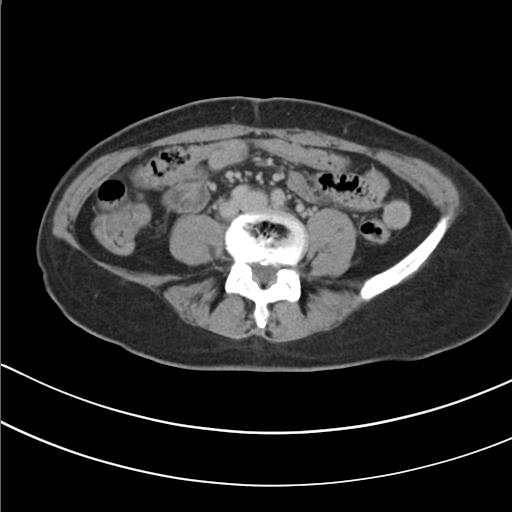
Multiphase abdominal CT, liver, delayed phase.
Patient: female, age 49.
History: prior chemotherapy.